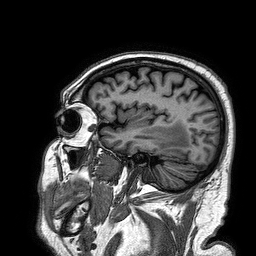
modality = 3 Tesla brain MRI; series = 3D T1-weighted turbo field echo; study = ring-enhancing brain masses.